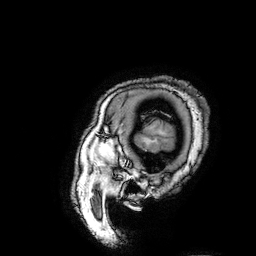
  modality:
    type: brain MRI
    field_strength: 3T
  series: 3D T1-weighted turbo field echo with SENSE
  study_topic: ring-enhancing brain masses